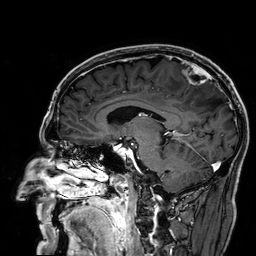
3 Tesla brain MRI.
Series: 3D T1-weighted.
Study: ring-enhancing brain masses.